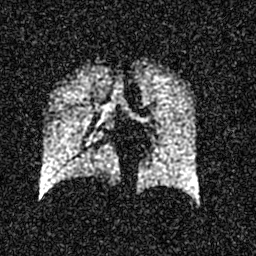
Hyperpolarized 129Xe ventilation MRI of the lungs.
SNR level 4 of 8 (the deposit holds this scan as its native image and as seven SNR-degraded versions).